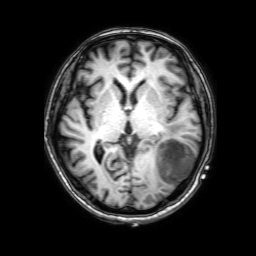
modality: 3 Tesla brain MRI; series: 3D T1-weighted with SENSE; study: ring-enhancing brain masses.